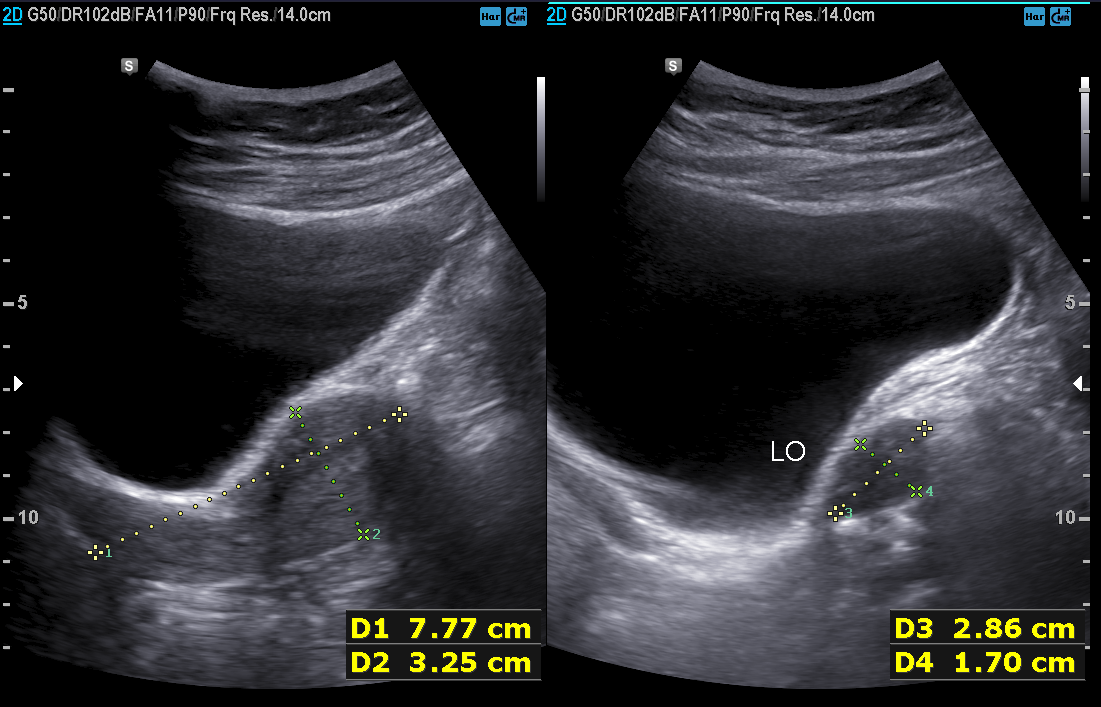
Clinical context: Genitourinary ultrasound.